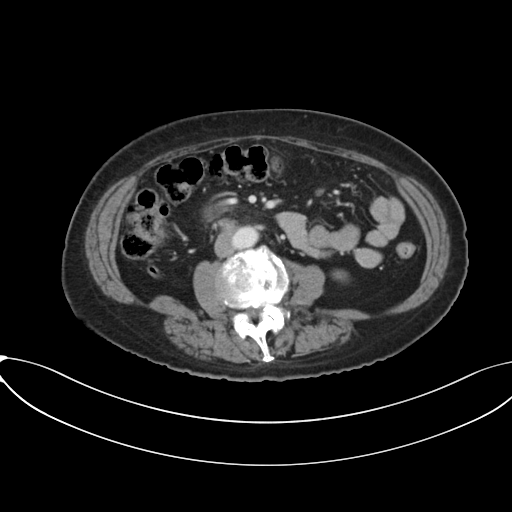
Multiphase abdominal CT, liver, portal venous phase.
Patient: female, age 74.
History: prior chemotherapy.